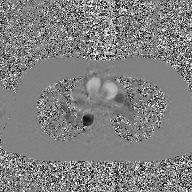
2D phase-contrast cine MRI of the ascending aorta, GAN super-resolution reconstruction.